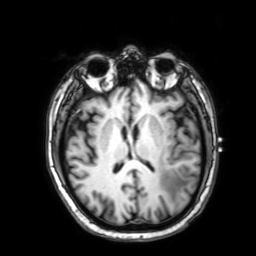
modality = 3 Tesla brain MRI
series = 3D T1-weighted with SENSE
study = ring-enhancing brain masses